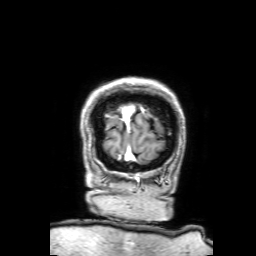
3 Tesla brain MRI. Study: ring-enhancing brain masses.